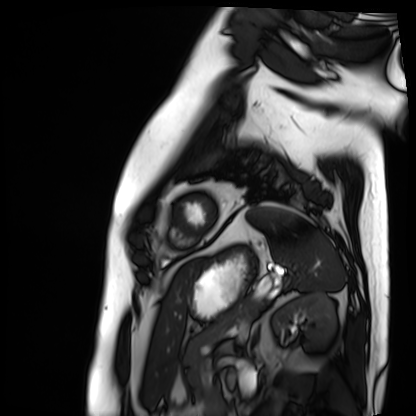
Summary: Cardiac MRI. Subject group: patient.